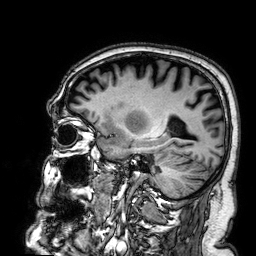
Q: What kind of scan is this?
A: 3 Tesla brain MRI.
Q: Series?
A: 3D T1-weighted.
Study: ring-enhancing brain masses.